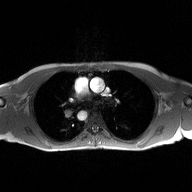
Case:
- modality — 2D phase-contrast cine MRI of the ascending aorta